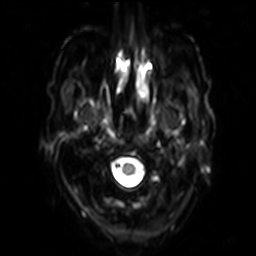
3 Tesla brain MRI.
Series: diffusion-weighted imaging with SENSE (WIP).
Study: ring-enhancing brain masses.